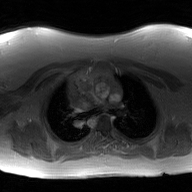
modality=2D phase-contrast cine MRI of the ascending aorta, GAN super-resolution reconstruction